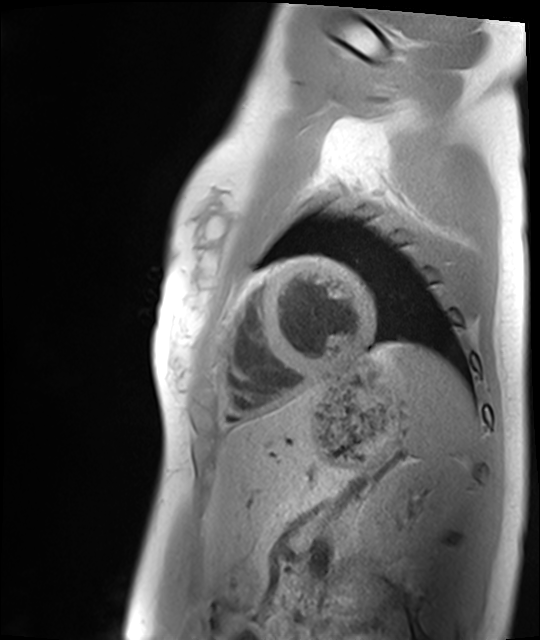
modality: cardiac MRI
subject group: healthy volunteer